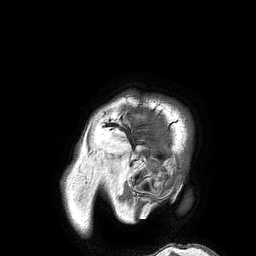
3 Tesla brain MRI. Study: ring-enhancing brain masses.